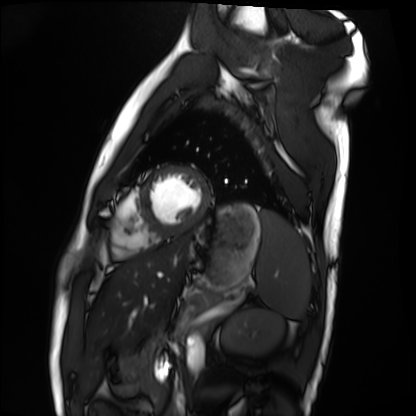
Cardiac MRI.
Subject group: healthy volunteer.